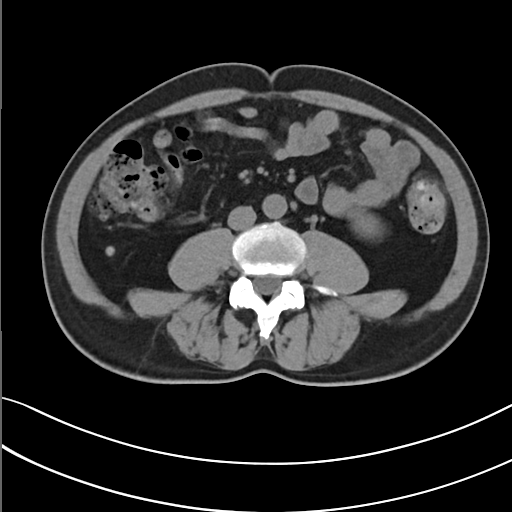
Summary: Multiphase abdominal CT, liver, non-contrast phase. Patient: male, age 52. History: prior chemotherapy.